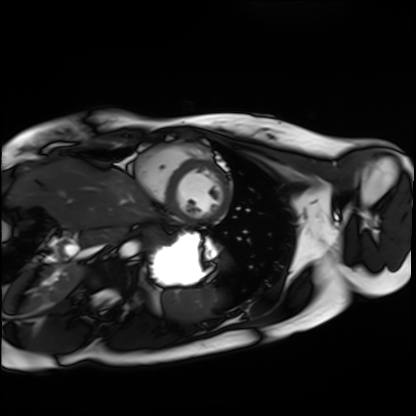
| field | value |
|---|---|
| modality | cardiac MRI |
| subject group | healthy volunteer |